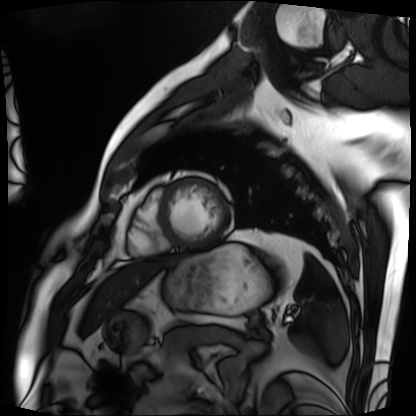
Cardiac MRI. Subject group: patient.